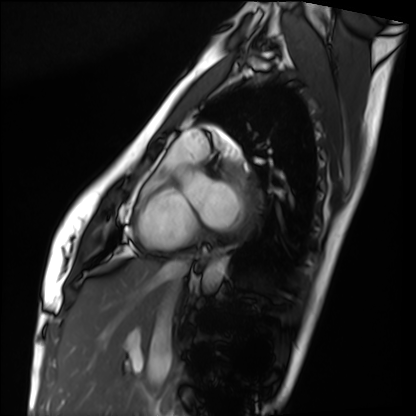
<case>
  <modality>cardiac MRI</modality>
  <cohort>healthy volunteer</cohort>
</case>